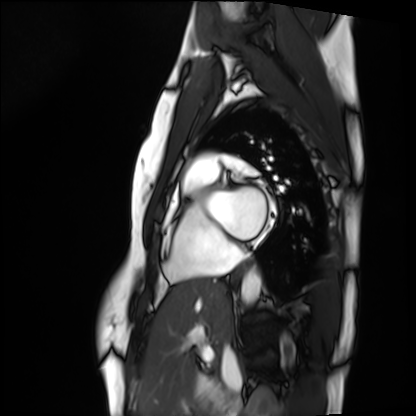
modality: cardiac MRI | subject group: healthy volunteer.